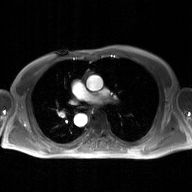
2D phase-contrast cine MRI of the ascending aorta, GAN super-resolution reconstruction.